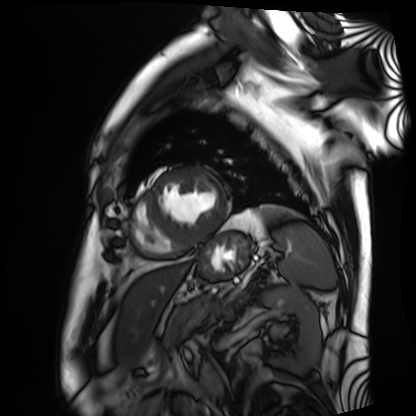
Cardiac MRI. Subject group: patient.